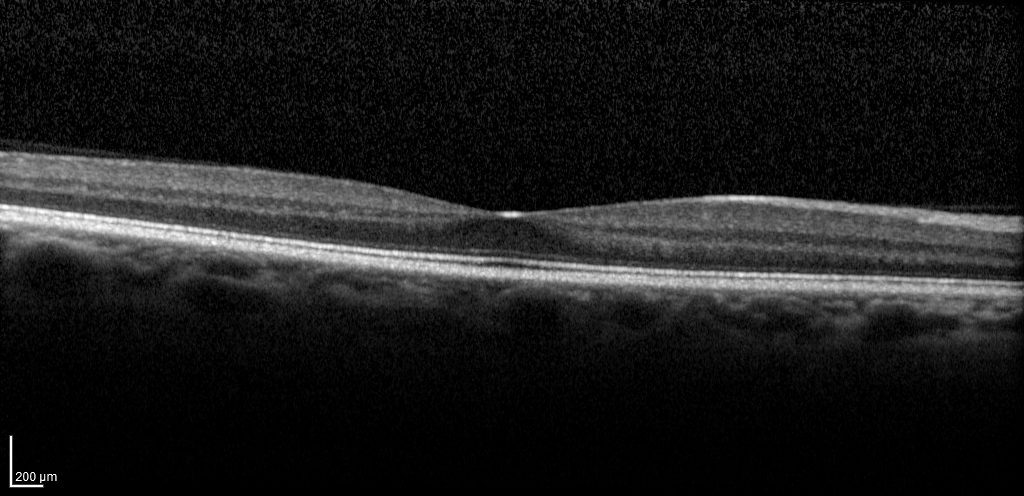
Spectral-domain optical coherence tomography (SD-OCT) of the macula.
Subject: female, age 39, right eye.
Cohort: non-diabetic control.
ETDRS-grid retinal thickness (μm): central 282, inner temporal 325, inner nasal 343, inner superior 340, inner inferior 339, outer temporal 290, outer nasal 323, outer superior 305, outer inferior 311.